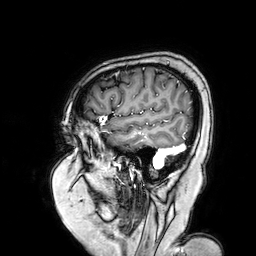
modality: 3 Tesla brain MRI; series: 3D T1-weighted turbo field echo with SENSE; study: ring-enhancing brain masses.